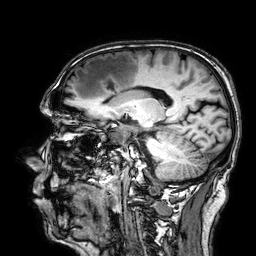
modality: 3 Tesla brain MRI | series: 3D T1-weighted | study: ring-enhancing brain masses.